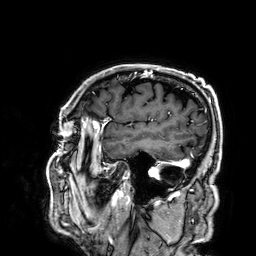
3 Tesla brain MRI.
Series: 3D T1-weighted.
Study: ring-enhancing brain masses.